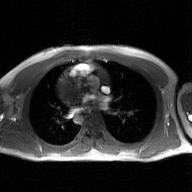
2D phase-contrast cine MRI of the ascending aorta, GAN super-resolution reconstruction.